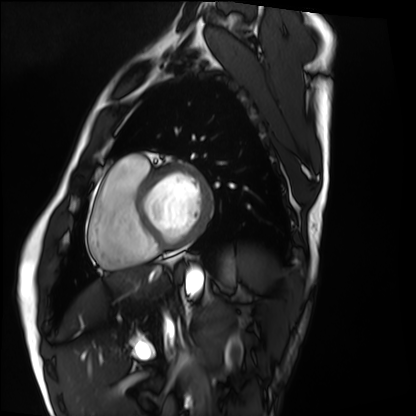
Cardiac MRI.
Subject group: healthy volunteer.